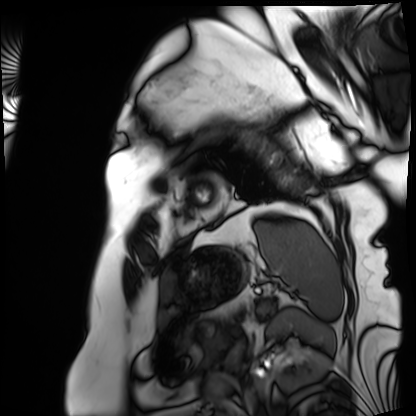
Case:
- modality: cardiac MRI
- subject group: patient